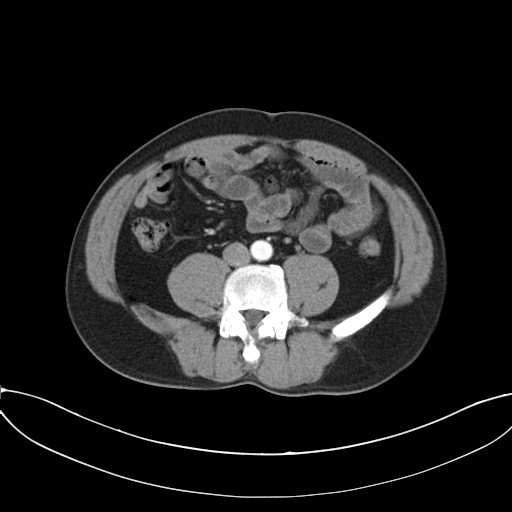
modality = multiphase abdominal CT, liver, arterial phase.